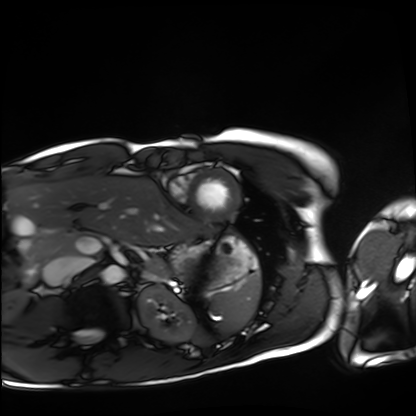
Cardiac MRI. Subject group: healthy volunteer.